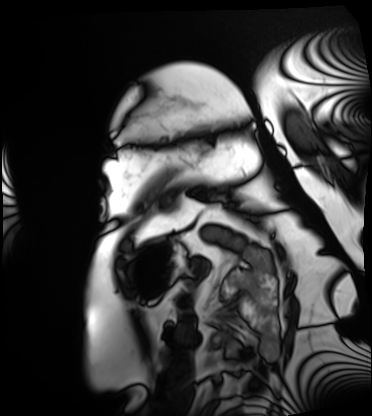
Cardiac MRI.
Subject group: patient.